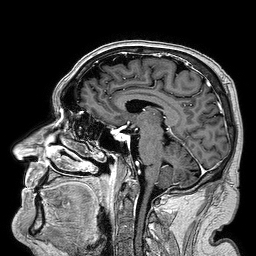
Q: What kind of scan is this?
A: 3 Tesla brain MRI.
Q: Series?
A: 3D T1-weighted turbo field echo.
Study: ring-enhancing brain masses.